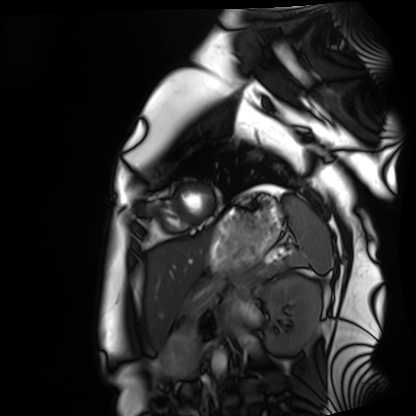
{"modality": "cardiac MRI", "cohort": "healthy volunteer"}